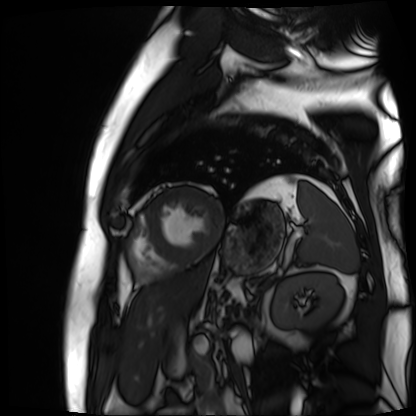
Summary: Cardiac MR image of the myocardium. Subject cohort: cardiac patient.